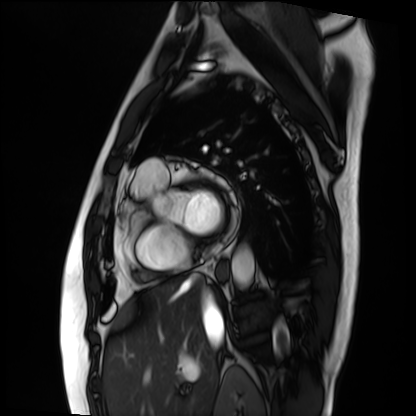
| field | value |
|---|---|
| modality | cardiac MRI |
| subject group | patient |